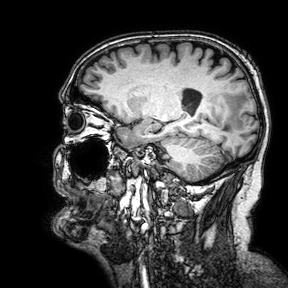
3 Tesla brain MRI. Series: 3D T1-weighted turbo field echo with SENSE. Study: ring-enhancing brain masses.